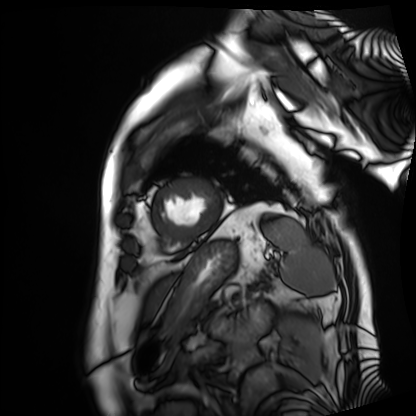
Cardiac MRI. Subject group: patient.